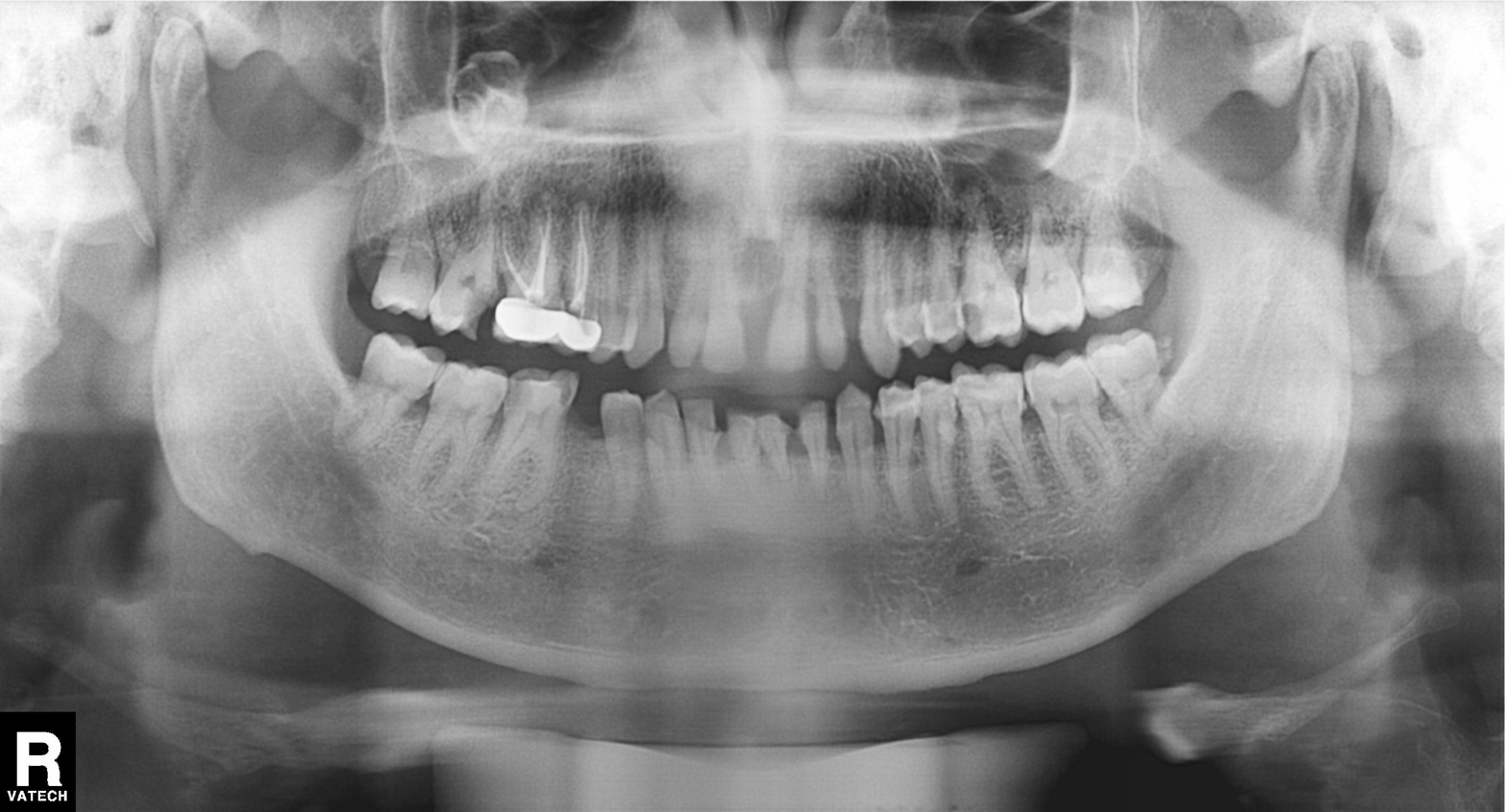
Panoramic dental radiograph (orthopantomogram). Finding: dental caries (cavities).